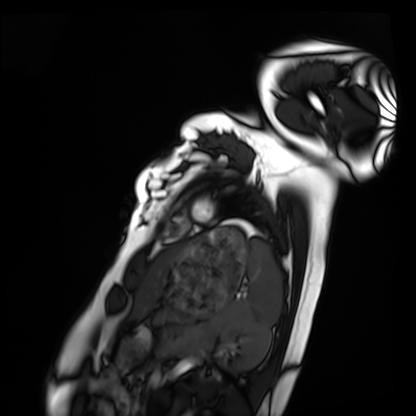
Q: What kind of scan is this?
A: Cardiac MRI.
Subject group: healthy volunteer.